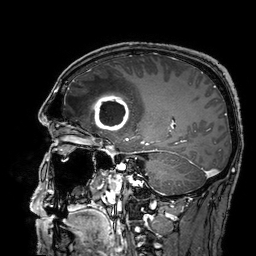
Q: What kind of scan is this?
A: 3 Tesla brain MRI.
Q: Series?
A: 3D T1-weighted turbo field echo with SENSE.
Study: ring-enhancing brain masses.